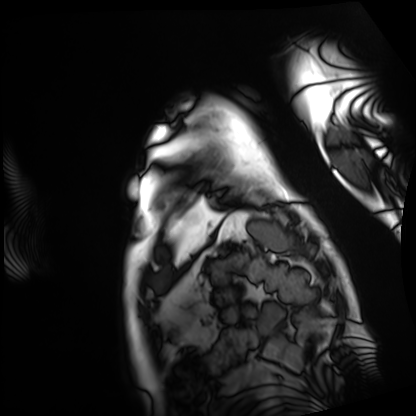
* modality · cardiac MRI
* subject group · patient